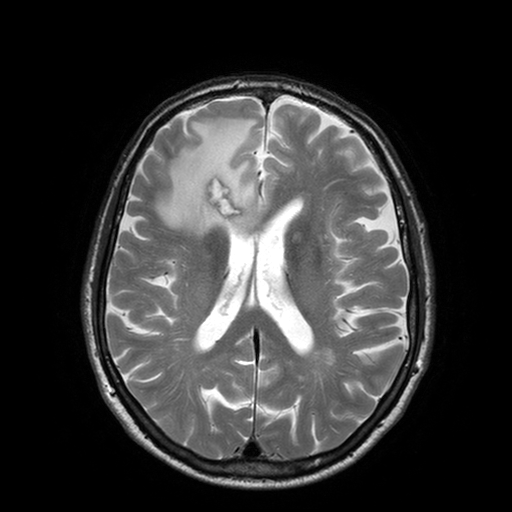
<scan>
  <modality>
    <type>brain MRI</type>
    <field_strength>3T</field_strength>
  </modality>
  <series>T2-weighted turbo spin echo with SENSE</series>
  <study_topic>ring-enhancing brain masses</study_topic>
</scan>